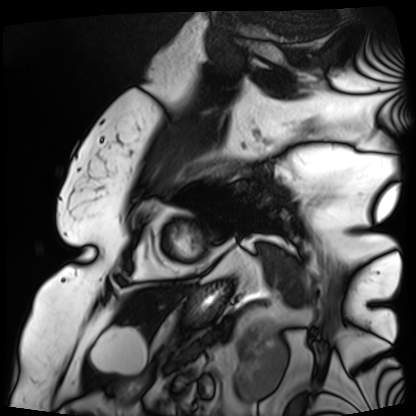
Cardiac MRI.
Subject group: patient.